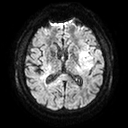
modality:
  type: brain MRI
  field_strength: 3T
series: diffusion tensor imaging (medium iso)
study_topic: ring-enhancing brain masses